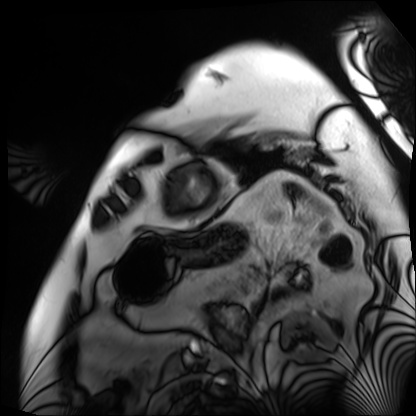
Cardiac MRI.
Subject group: patient.